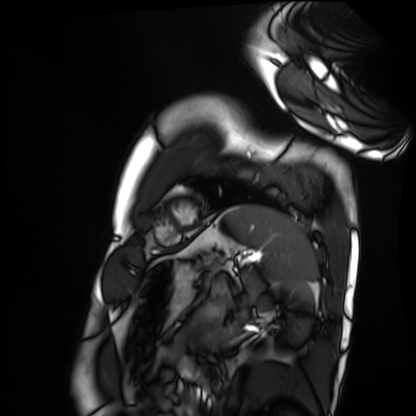
modality = cardiac MRI, subject group = healthy volunteer.